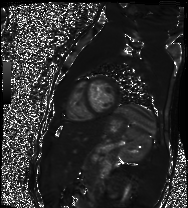
Summary:
Cardiac MR image of the myocardium. Subject cohort: healthy volunteer.